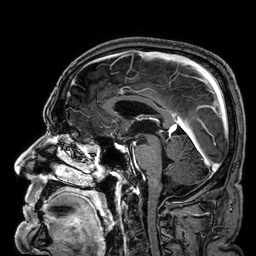
modality: 3 Tesla brain MRI
series: 3D T1-weighted
study: ring-enhancing brain masses